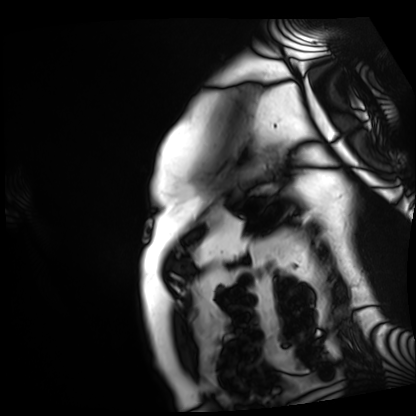
modality = cardiac MRI; subject group = patient.